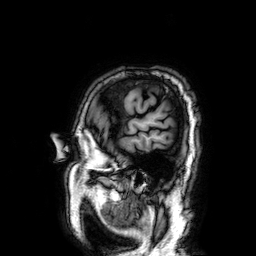
modality = 3 Tesla brain MRI
series = 3D T1-weighted
study = ring-enhancing brain masses